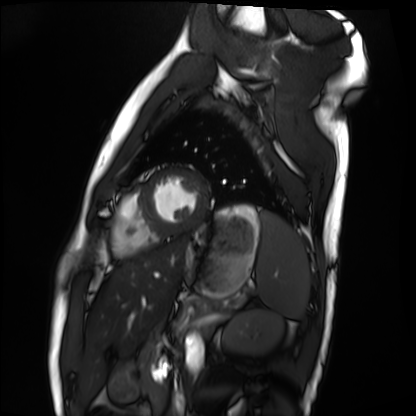
- modality — cardiac MRI
- subject group — healthy volunteer